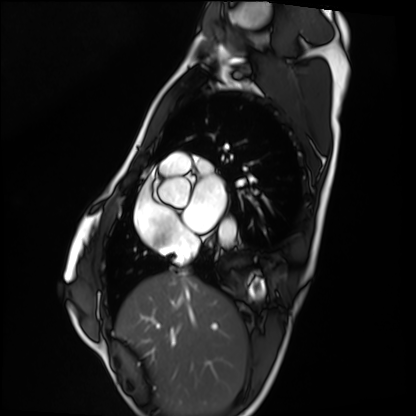
– modality · cardiac MRI
– subject group · healthy volunteer